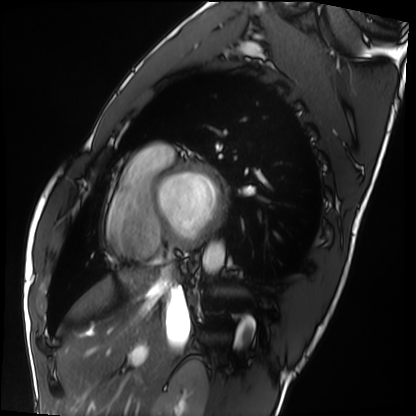
Summary:
Cardiac MRI. Subject group: healthy volunteer.